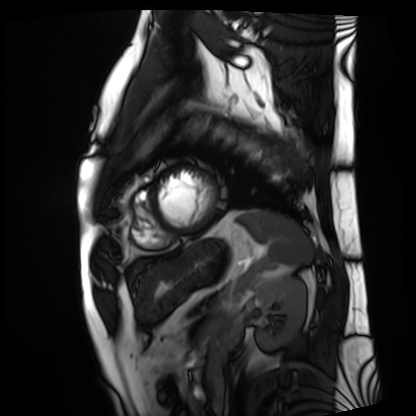
• modality · cardiac MRI
• subject group · patient